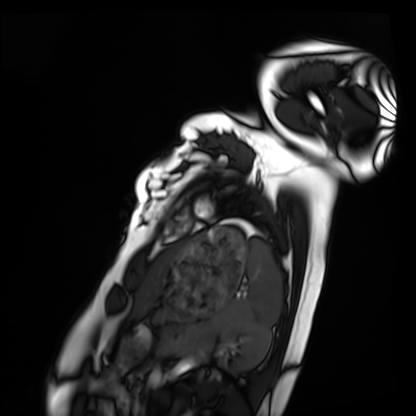
Clinical context:
Cardiac MRI. Subject group: healthy volunteer.